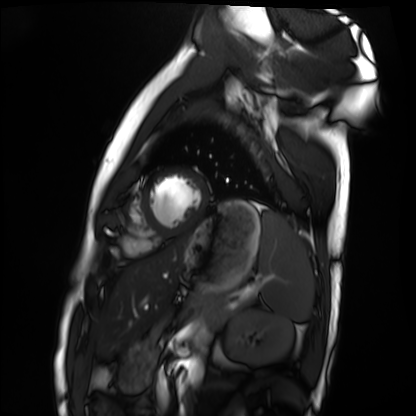
Cardiac MRI. Subject group: healthy volunteer.